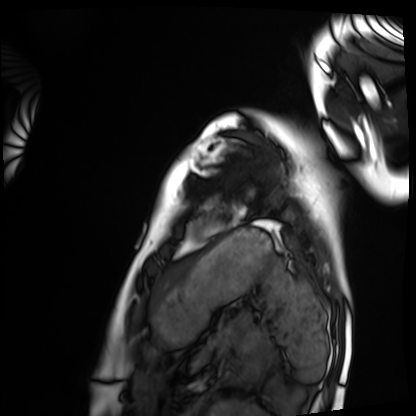
Cardiac MRI. Subject group: healthy volunteer.